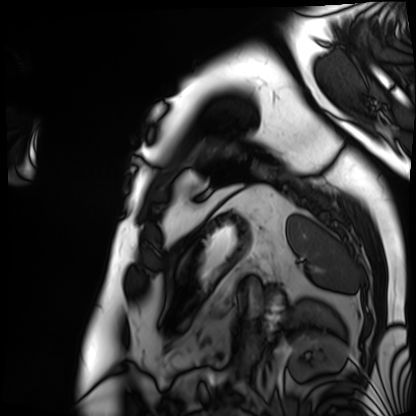
Cardiac MRI.
Subject group: patient.